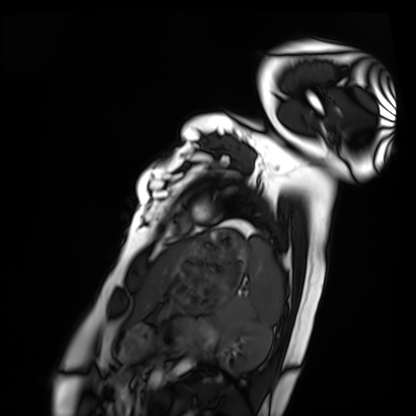
Clinical context: Cardiac MRI. Subject group: healthy volunteer.